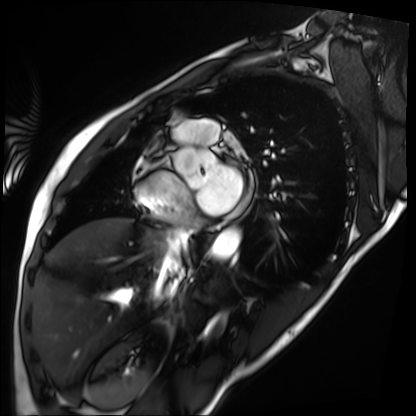
Q: What kind of scan is this?
A: Cardiac MRI.
Subject group: patient.